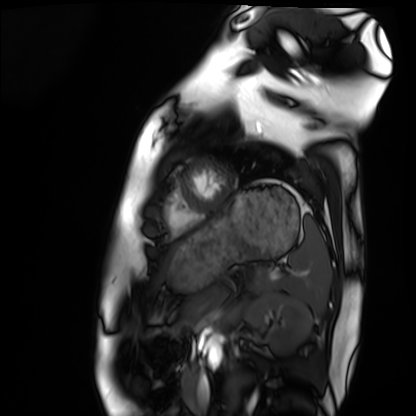
Cardiac MRI. Subject group: healthy volunteer.